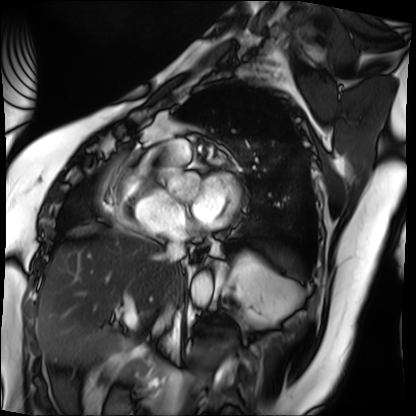
Summary:
Cardiac MRI. Subject group: patient.